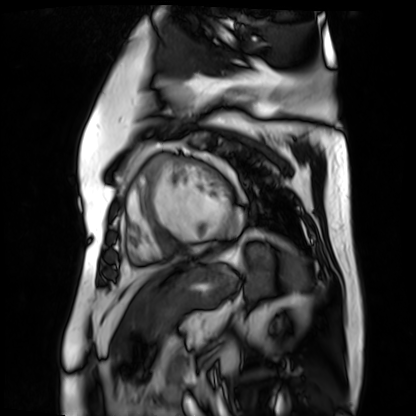
Clinical context:
Cardiac MR image of the myocardium. Subject cohort: cardiac patient.